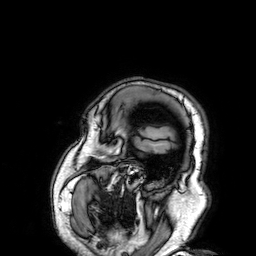
Summary: 3 Tesla brain MRI. Series: 3D T1-weighted. Study: ring-enhancing brain masses.